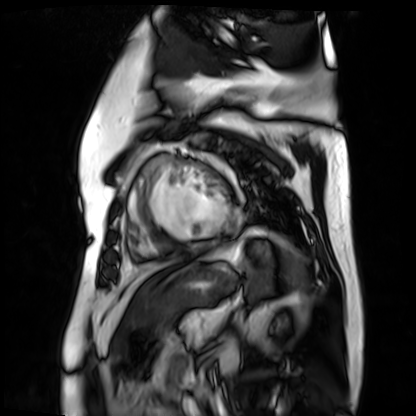
modality: cardiac MR image of the myocardium | subject cohort: cardiac patient.